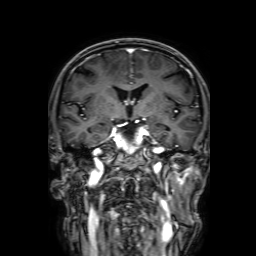
{
  "modality": {
    "type": "brain MRI",
    "field_strength": "3T"
  },
  "series": "3D T1-weighted with SENSE",
  "study_topic": "ring-enhancing brain masses"
}